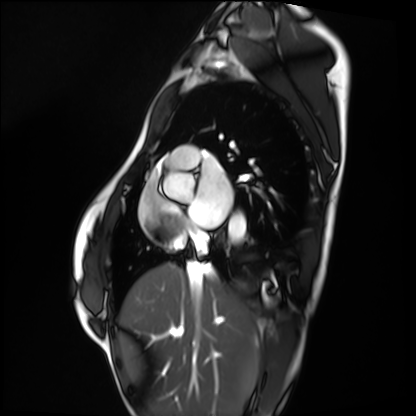
Summary: Cardiac MRI. Subject group: healthy volunteer.